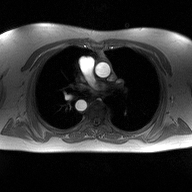
– modality — 2D phase-contrast cine MRI of the ascending aorta